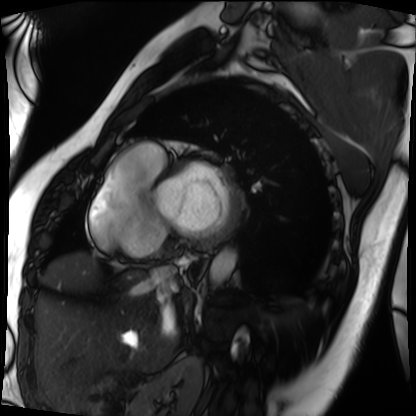
- modality · cardiac MRI
- subject group · patient